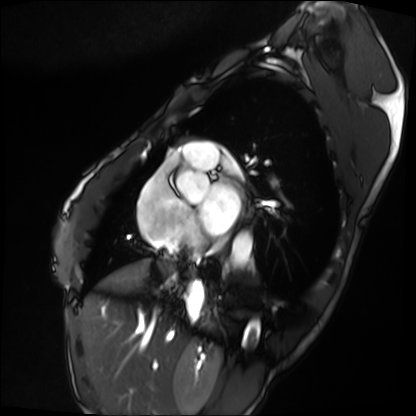
Case:
- modality · cardiac MRI
- subject group · patient